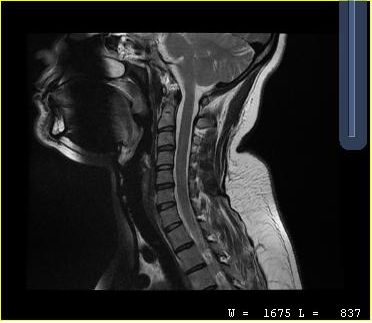
{
  "modality": {
    "type": "cervical spine MRI"
  },
  "study_topic": "cervical spondylosis"
}